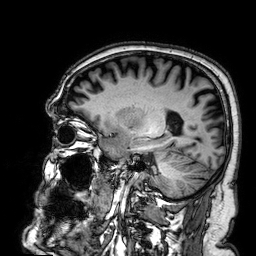
Summary: 3 Tesla brain MRI. Series: 3D T1-weighted. Study: ring-enhancing brain masses.